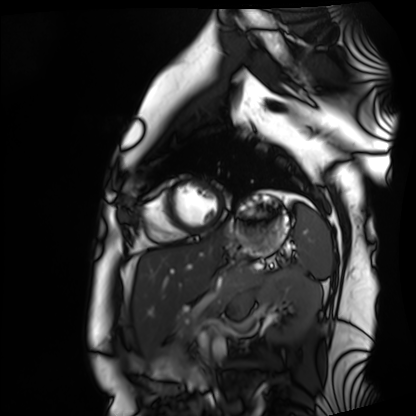
modality = cardiac MRI, subject group = healthy volunteer.